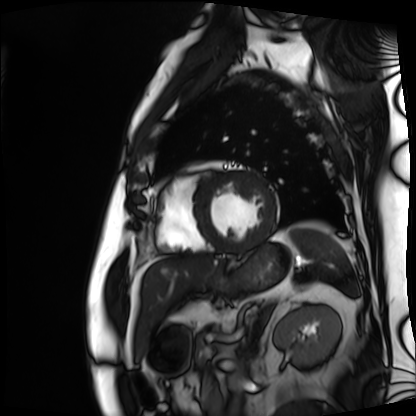
modality = cardiac MRI | subject group = patient.